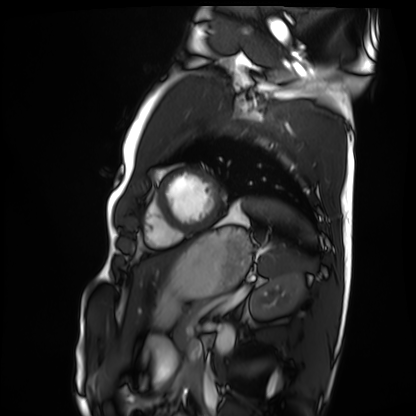
| field | value |
|---|---|
| modality | cardiac MRI |
| subject group | healthy volunteer |